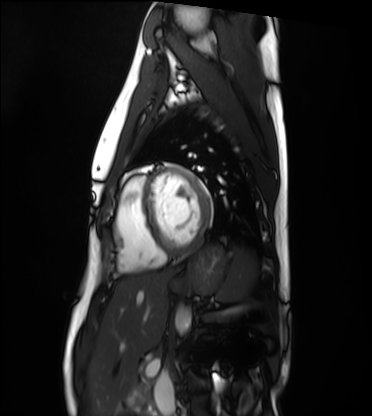
modality: cardiac MRI
cohort: healthy volunteer